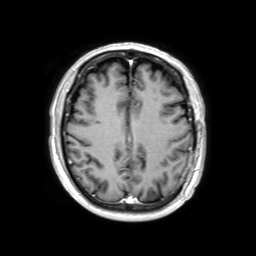
3 Tesla brain MRI.
Series: 3D T1-weighted TFE with SENSE.
Study: ring-enhancing brain masses.